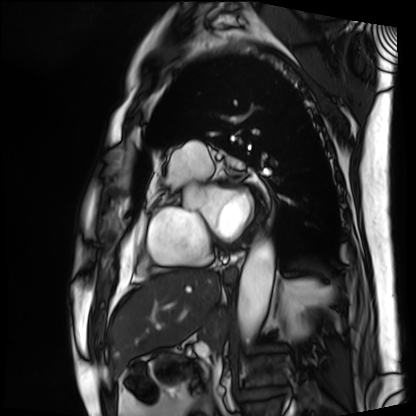
Summary: Cardiac MRI. Subject group: patient.